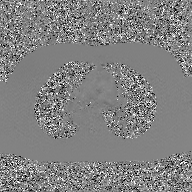
modality — 2D phase-contrast cine MRI of the ascending aorta, GAN super-resolution reconstruction.